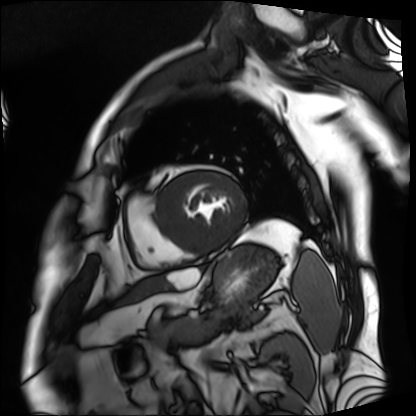
modality: cardiac MRI | subject group: patient.